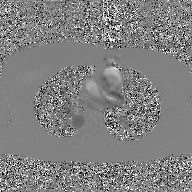
• modality — 2D phase-contrast cine MRI of the ascending aorta, GAN super-resolution reconstruction